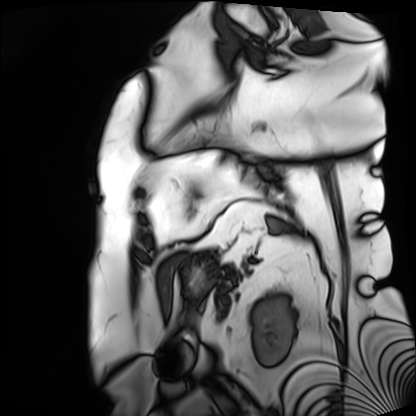
<case>
  <modality>cardiac MRI</modality>
  <cohort>patient</cohort>
</case>